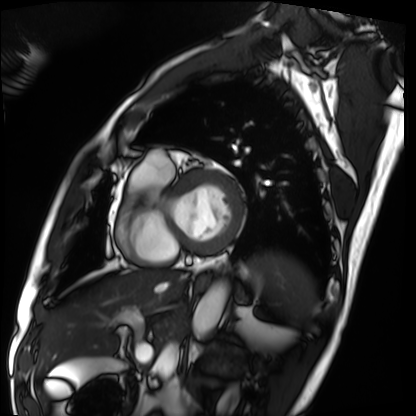
Cardiac MRI.
Subject group: patient.